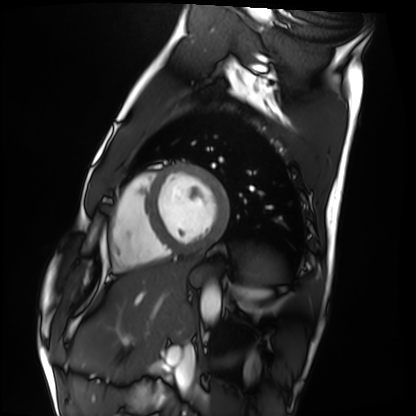
<record>
  <modality>cardiac MRI</modality>
  <cohort>healthy volunteer</cohort>
</record>